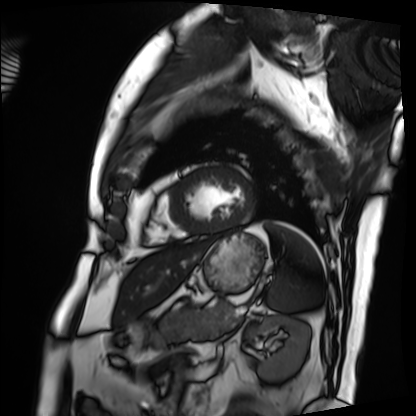
Cardiac MRI.
Subject group: patient.